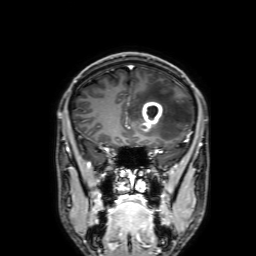
3 Tesla brain MRI.
Series: 3D T1-weighted with SENSE.
Study: ring-enhancing brain masses.